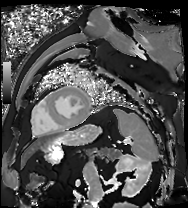
Q: What kind of scan is this?
A: Cardiac MR image of the myocardium.
Subject cohort: cardiac patient.